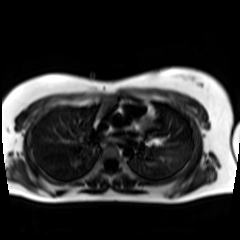
{
  "modality": "chemical-shift-encoded cardiac MRI"
}